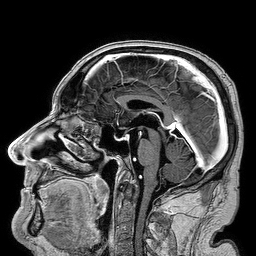
  modality:
    type: brain MRI
    field_strength: 3T
  series: 3D T1-weighted turbo field echo
  study_topic: ring-enhancing brain masses